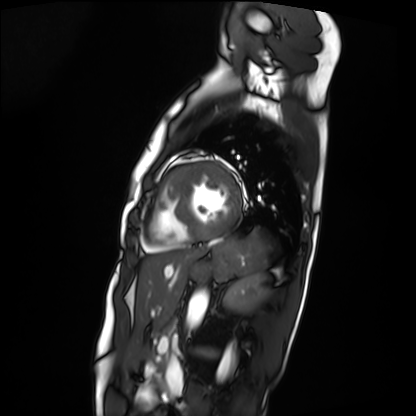
Cardiac MRI.
Subject group: patient.